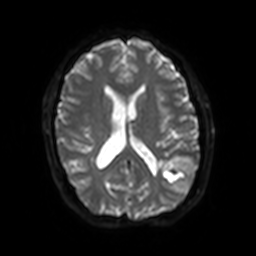
modality:
  type: brain MRI
  field_strength: 3T
series: diffusion-weighted imaging with SENSE (WIP)
study_topic: ring-enhancing brain masses